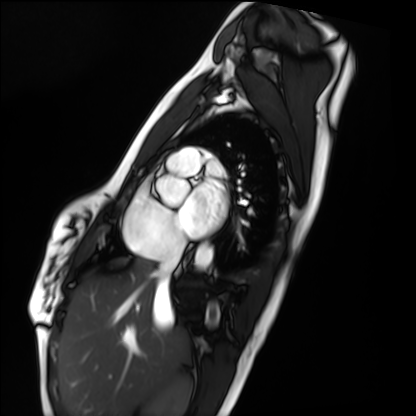
Case summary:
Cardiac MRI. Subject group: healthy volunteer.